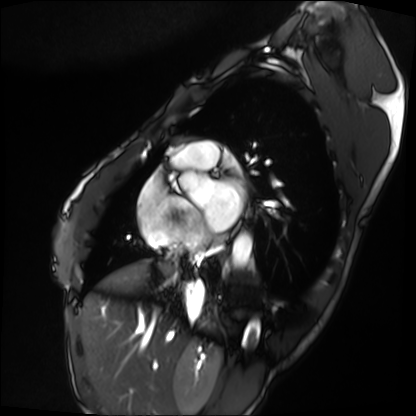
Q: What kind of scan is this?
A: Cardiac MRI.
Subject group: patient.